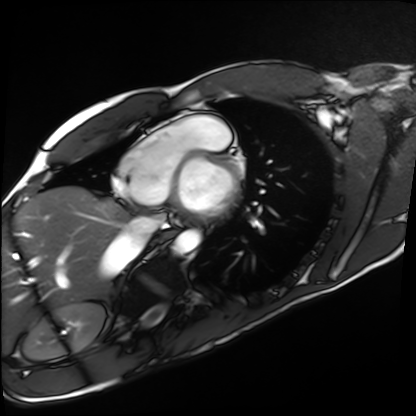
modality = cardiac MRI | subject group = healthy volunteer.